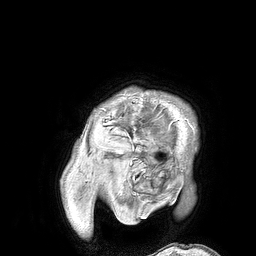
Q: What kind of scan is this?
A: 3 Tesla brain MRI.
Q: Series?
A: 3D T1-weighted turbo field echo.
Study: ring-enhancing brain masses.